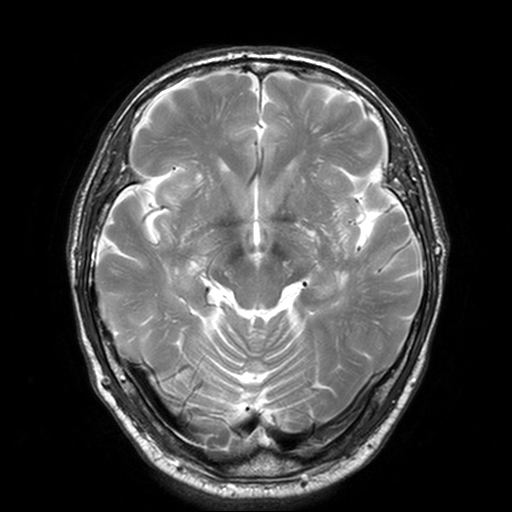
3 Tesla brain MRI. Series: T2-weighted turbo spin echo, 3 mm. Study: ring-enhancing brain masses.